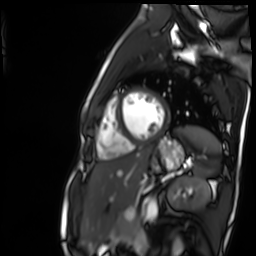
• modality: cardiac MR image of the myocardium
• subject cohort: healthy volunteer